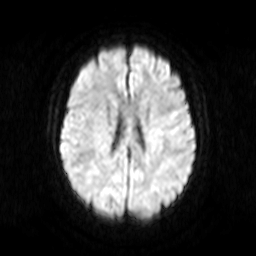
Case summary:
3 Tesla brain MRI. Series: diffusion-weighted imaging. Study: ring-enhancing brain masses.